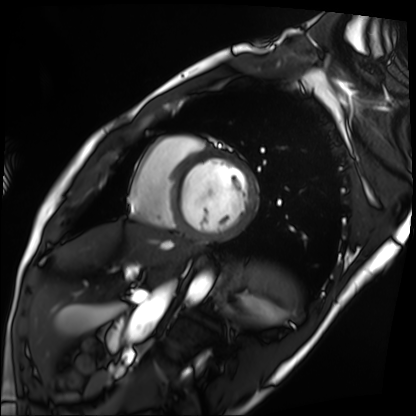
modality: cardiac MRI
subject group: patient